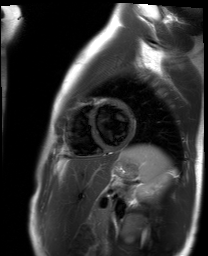
Q: What kind of scan is this?
A: Cardiac MR image of the myocardium.
Subject cohort: healthy volunteer.